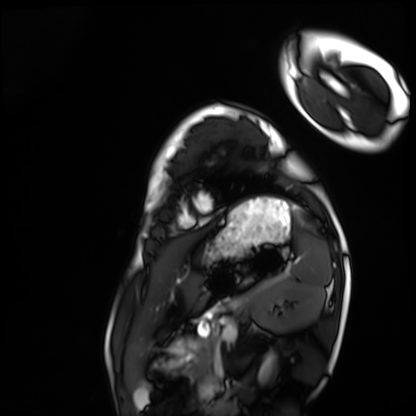
Cardiac MRI. Subject group: healthy volunteer.